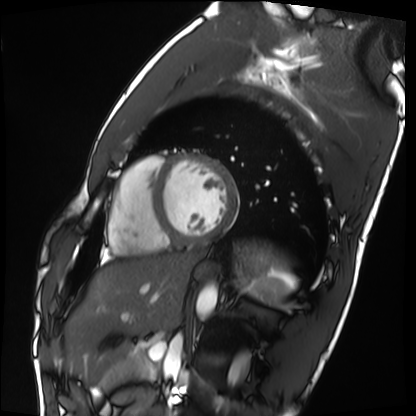
modality: cardiac MRI
cohort: healthy volunteer